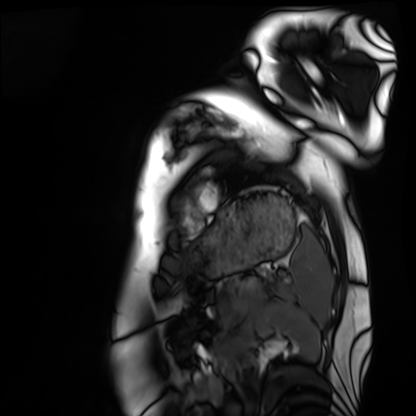
- modality · cardiac MRI
- subject group · healthy volunteer